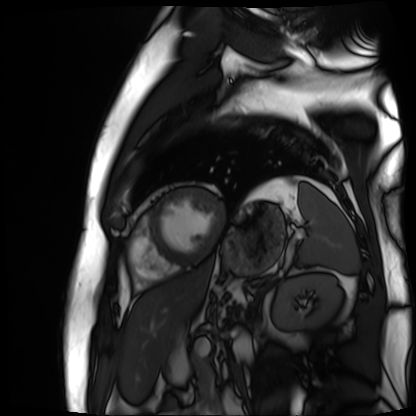
Cardiac MR image of the myocardium.
Subject cohort: cardiac patient.